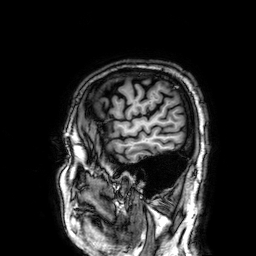
{"modality": {"type": "brain MRI", "field_strength": "3T"}, "series": "3D T1-weighted", "study_topic": "ring-enhancing brain masses"}